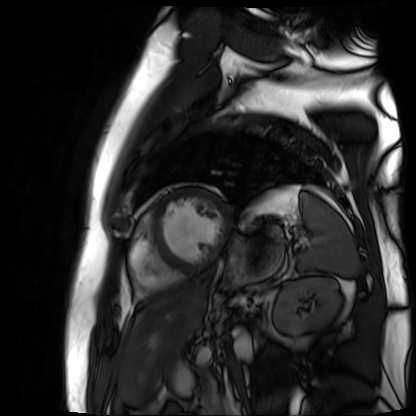
Q: What kind of scan is this?
A: Cardiac MR image of the myocardium.
Subject cohort: cardiac patient.